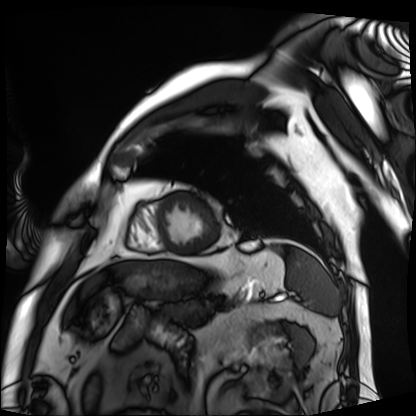
modality: cardiac MRI | subject group: patient.